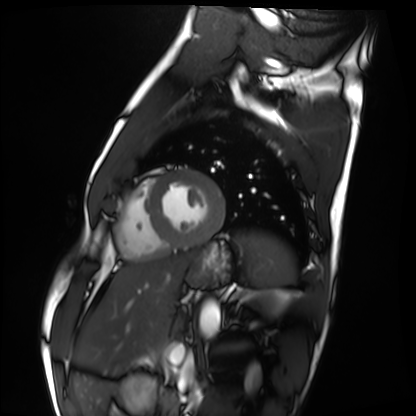
Q: What kind of scan is this?
A: Cardiac MRI.
Subject group: healthy volunteer.